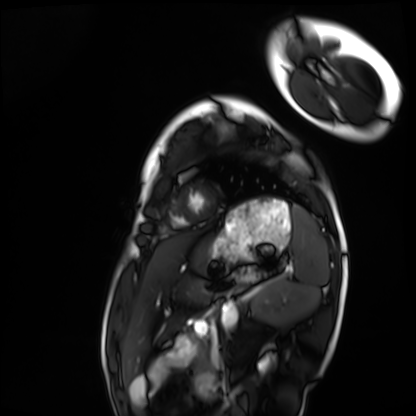
<scan>
  <modality>cardiac MRI</modality>
  <cohort>healthy volunteer</cohort>
</scan>